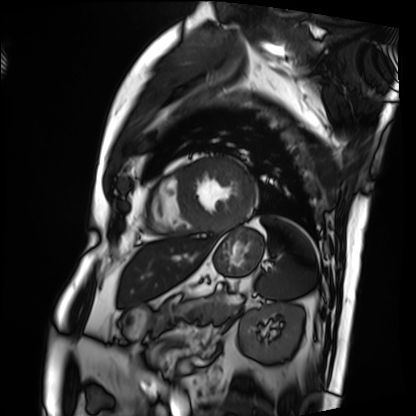
{"modality": "cardiac MRI", "cohort": "patient"}